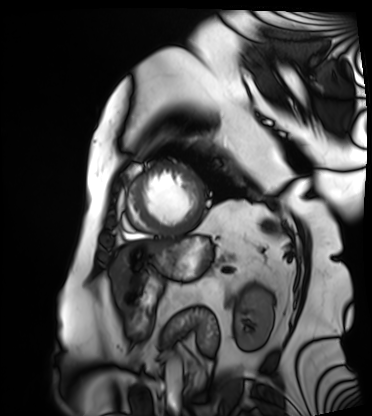
Cardiac MRI. Subject group: patient.